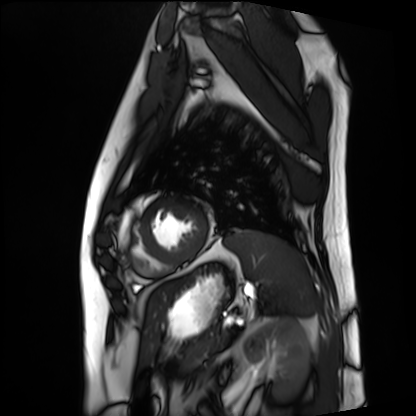
<record>
<modality>cardiac MRI</modality>
<cohort>patient</cohort>
</record>